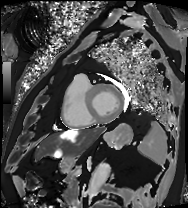
Clinical context:
Cardiac MRI. Subject group: patient.